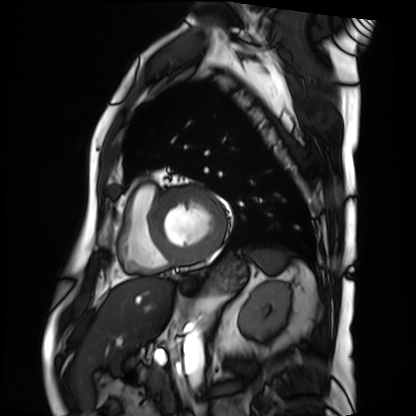
Case:
• modality — cardiac MRI
• subject group — patient